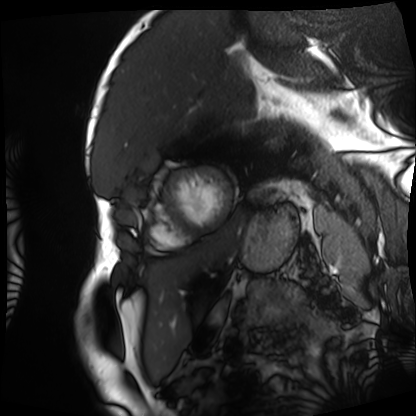
{
  "modality": "cardiac MRI",
  "cohort": "patient"
}